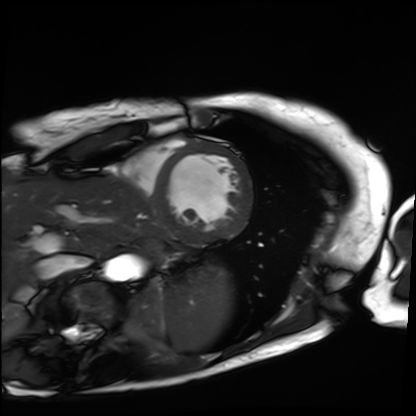
<record>
<modality>cardiac MRI</modality>
<cohort>patient</cohort>
</record>